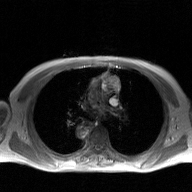
2D phase-contrast cine MRI of the ascending aorta, GAN super-resolution reconstruction.